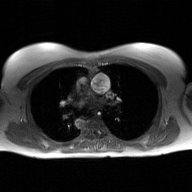
2D phase-contrast cine MRI of the ascending aorta, GAN super-resolution reconstruction.